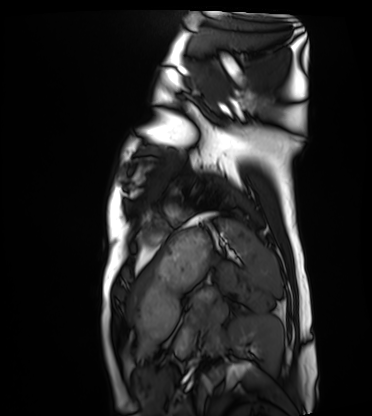
Cardiac MRI.
Subject group: healthy volunteer.